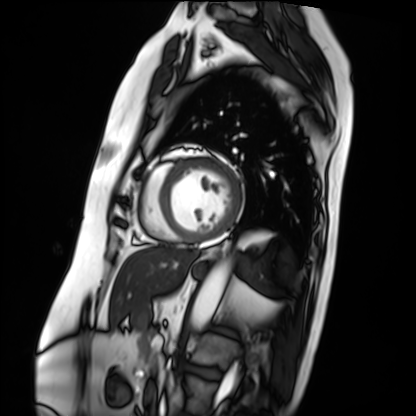
Cardiac MRI. Subject group: patient.